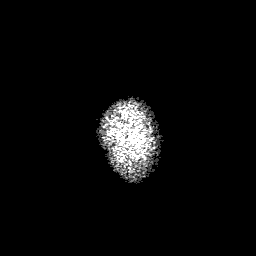
modality = 3 Tesla brain MRI | series = 3D T1-weighted with SENSE | study = ring-enhancing brain masses.